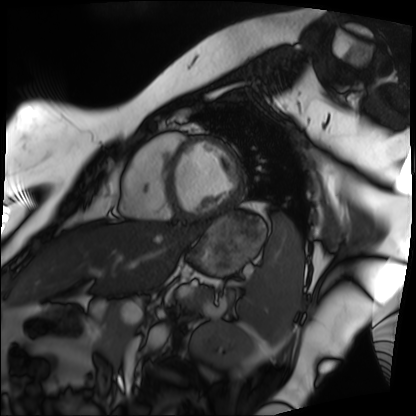
{"modality": "cardiac MRI", "cohort": "patient"}